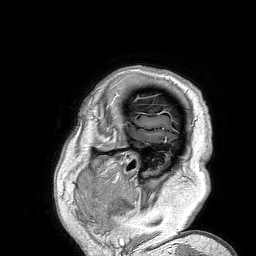
| field | value |
|---|---|
| modality | 3 Tesla brain MRI |
| series | 3D T1-weighted turbo field echo |
| study | ring-enhancing brain masses |